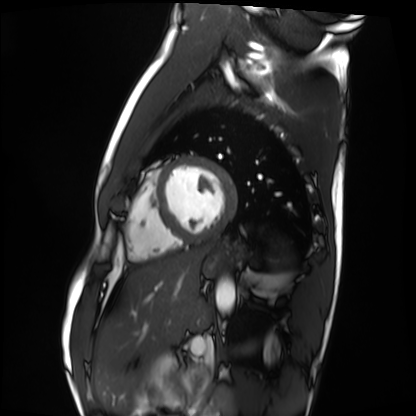
<record>
  <modality>cardiac MRI</modality>
  <cohort>healthy volunteer</cohort>
</record>